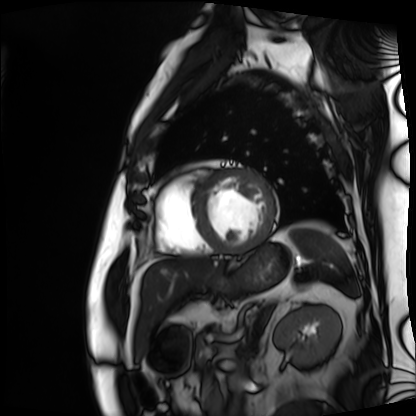
modality=cardiac MRI | subject group=patient.